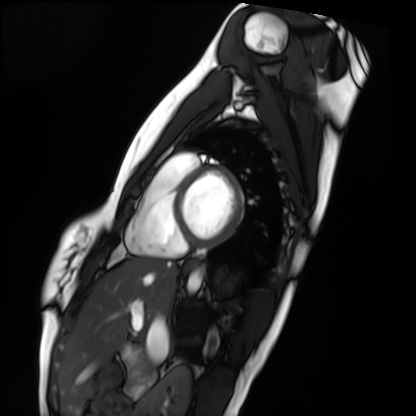
modality: cardiac MRI; subject group: healthy volunteer.